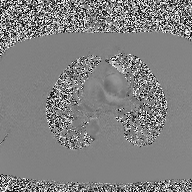
Summary: 2D phase-contrast cine MRI of the ascending aorta, high-resolution GRAPPA acquisition.